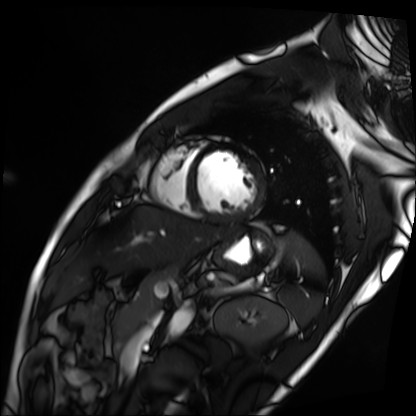
Cardiac MRI. Subject group: patient.